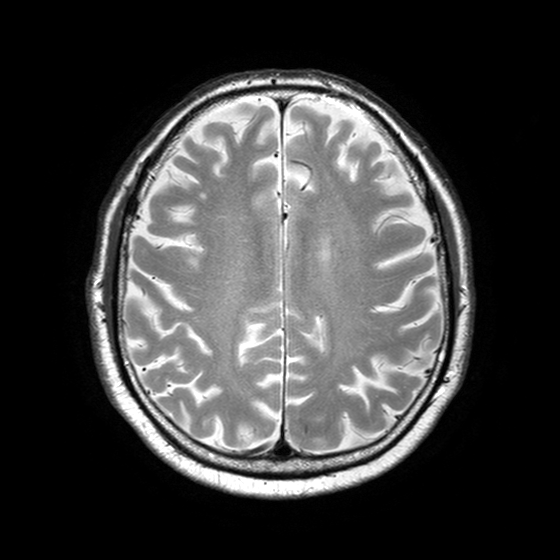
– modality — 3 Tesla brain MRI
– series — T2-weighted turbo spin echo with SENSE
– study — ring-enhancing brain masses